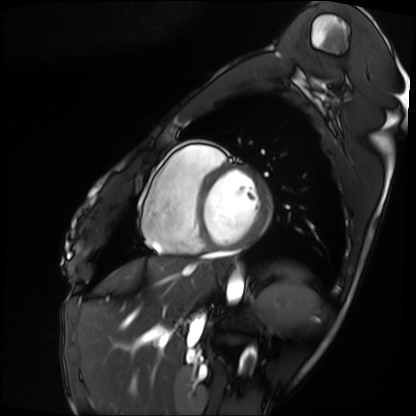
Clinical context: Cardiac MRI. Subject group: patient.